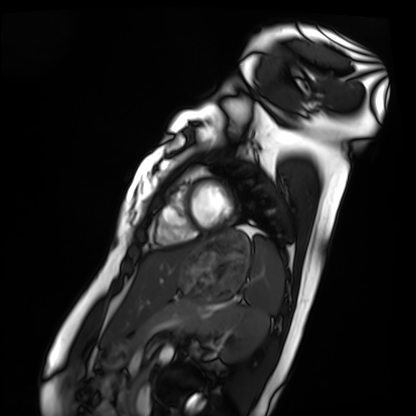
• modality: cardiac MRI
• subject group: healthy volunteer